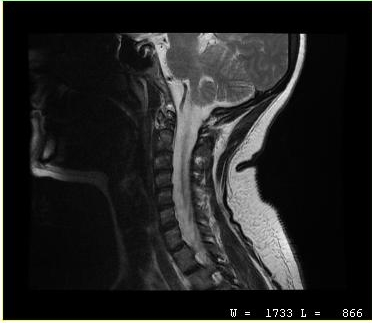
modality: MRI of the cervical spine; study: cervical spondylosis.